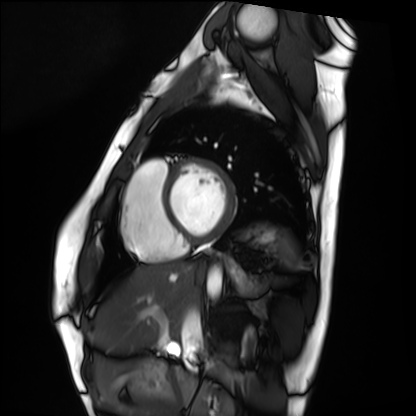
Q: What kind of scan is this?
A: Cardiac MRI.
Subject group: healthy volunteer.